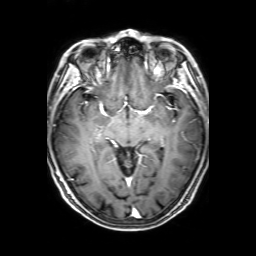
• modality — 3 Tesla brain MRI
• series — 3D T1-weighted with SENSE
• study — ring-enhancing brain masses